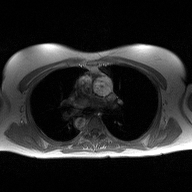
Summary:
2D phase-contrast cine MRI of the ascending aorta, high-resolution GRAPPA acquisition.